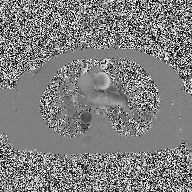
Case summary:
2D phase-contrast cine MRI of the ascending aorta, high-resolution GRAPPA acquisition.